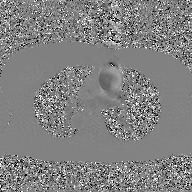
2D phase-contrast cine MRI of the ascending aorta, GAN super-resolution reconstruction.